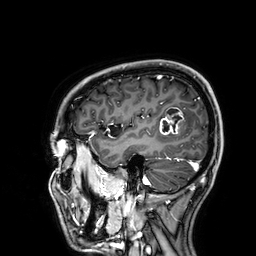
3 Tesla brain MRI.
Series: 3D T1-weighted.
Study: ring-enhancing brain masses.